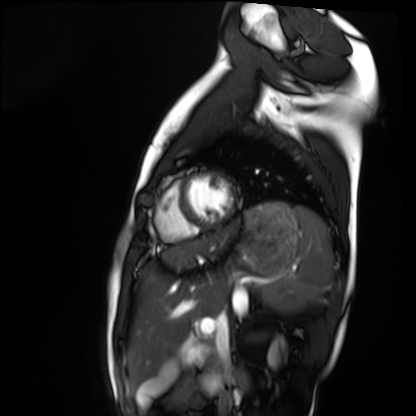
{
  "modality": "cardiac MRI",
  "cohort": "healthy volunteer"
}